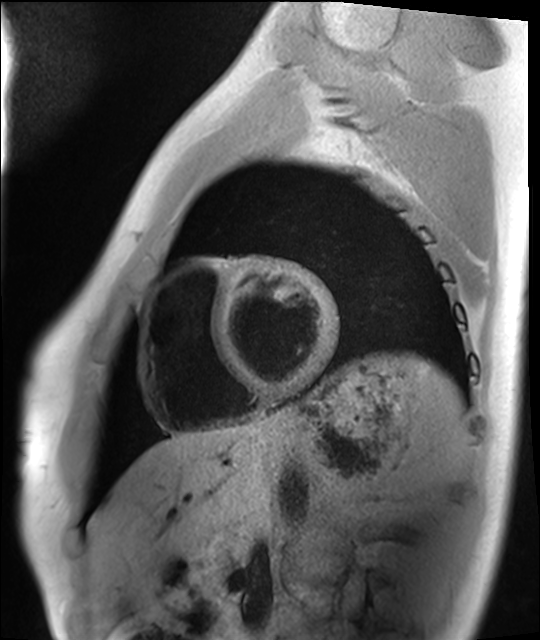
modality=cardiac MRI; subject group=healthy volunteer.